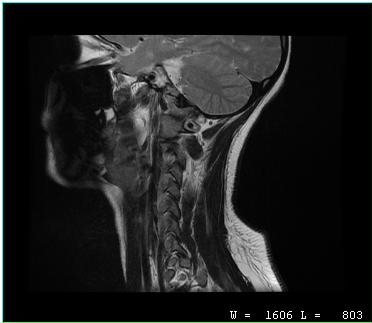
MRI of the cervical spine.
Study: cervical spondylosis.